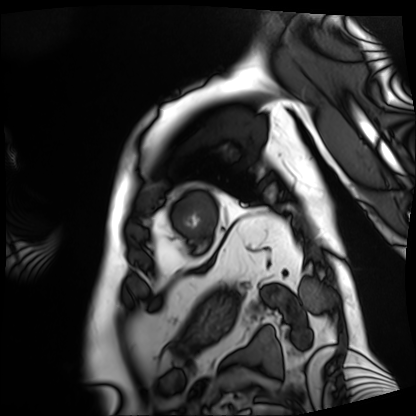
Case:
• modality — cardiac MRI
• subject group — patient